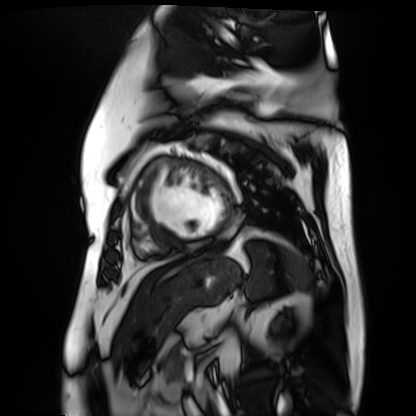
Summary:
Cardiac MR image of the myocardium. Subject cohort: cardiac patient.